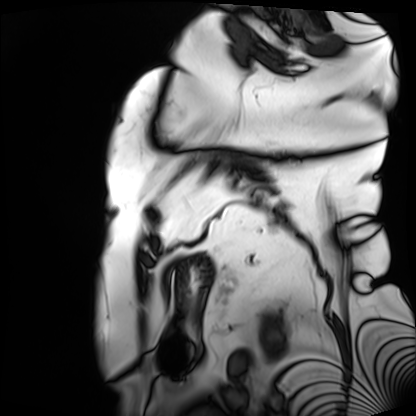
Summary: Cardiac MRI. Subject group: patient.